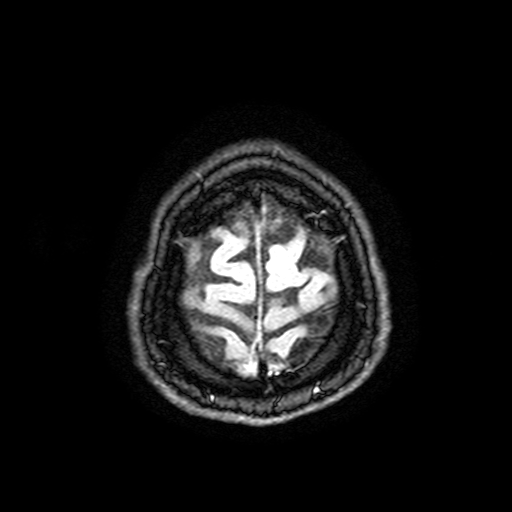
modality = 3 Tesla brain MRI; series = FLAIR with SPAIR, 3 mm; study = ring-enhancing brain masses.